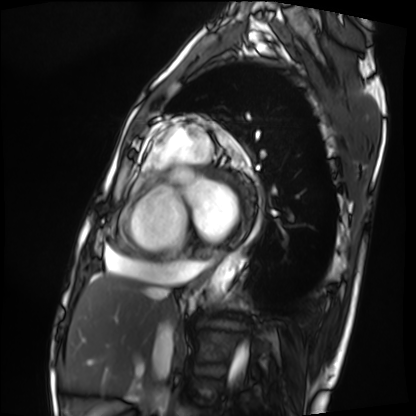
Cardiac MRI.
Subject group: patient.